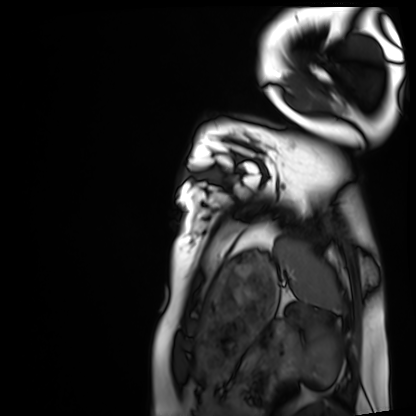
Cardiac MRI. Subject group: healthy volunteer.